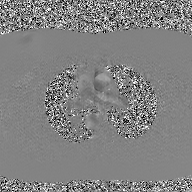
| field | value |
|---|---|
| modality | 2D phase-contrast cine MRI of the ascending aorta, GAN super-resolution reconstruction |